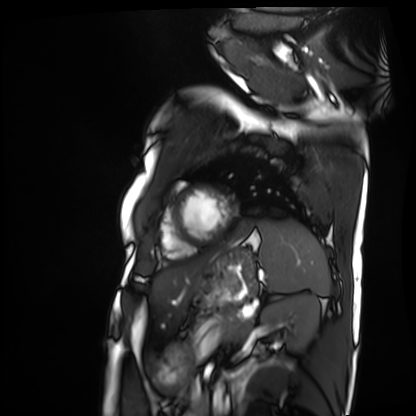
{
  "modality": "cardiac MRI",
  "cohort": "patient"
}